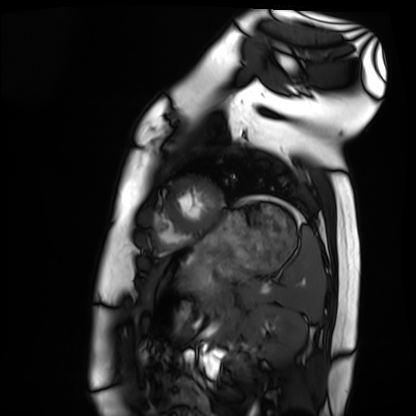
Summary: Cardiac MRI. Subject group: healthy volunteer.